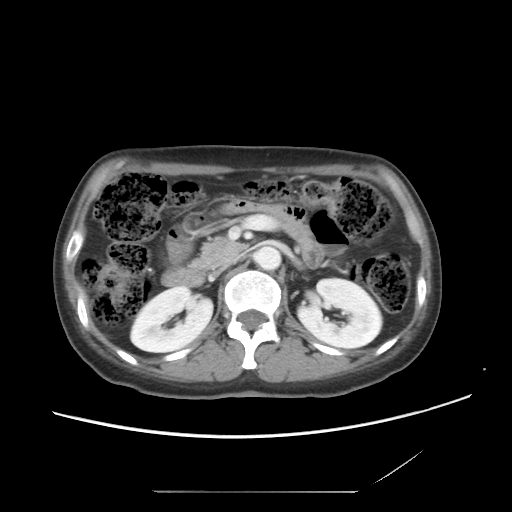
modality: multiphase abdominal CT, liver, portal venous phase
patient: female, age 53